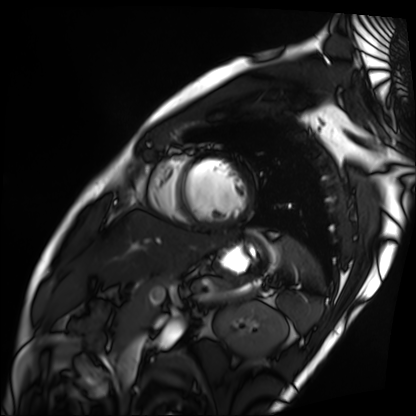
Summary: Cardiac MRI. Subject group: patient.